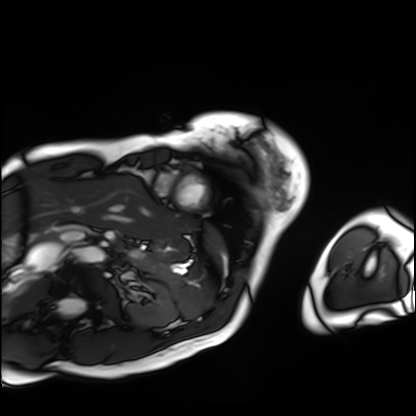
modality = cardiac MRI | subject group = patient.